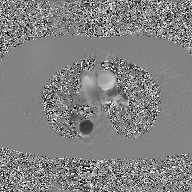
<scan>
<modality>
  <type>2D phase-contrast cine MRI</type>
  <region>ascending aorta</region>
  <reconstruction>GAN super-resolution reconstruction</reconstruction>
</modality>
</scan>